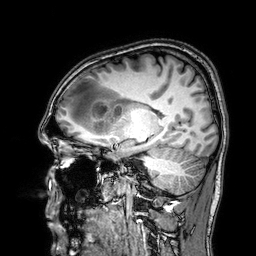
modality=3 Tesla brain MRI | series=3D T1-weighted | study=ring-enhancing brain masses.